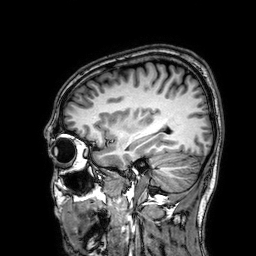
3 Tesla brain MRI. Series: 3D T1-weighted. Study: ring-enhancing brain masses.